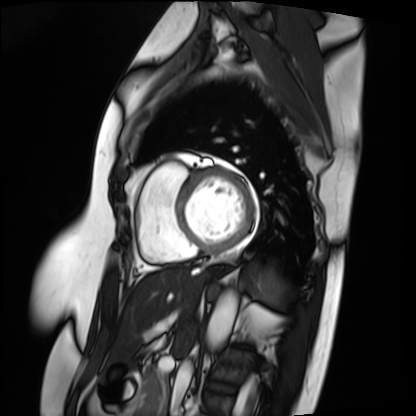
Case:
– modality — cardiac MRI
– subject group — patient